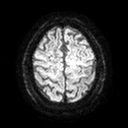
{"modality": {"type": "brain MRI", "field_strength": "3T"}, "series": "diffusion tensor imaging (medium iso)", "study_topic": "ring-enhancing brain masses"}